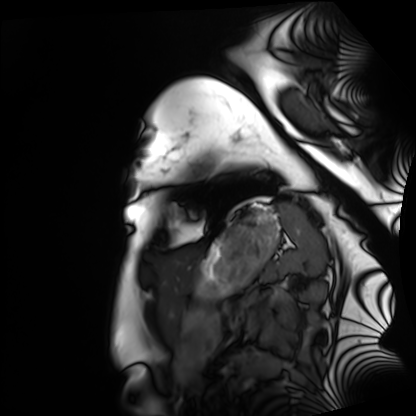
Case:
- modality — cardiac MRI
- subject group — healthy volunteer